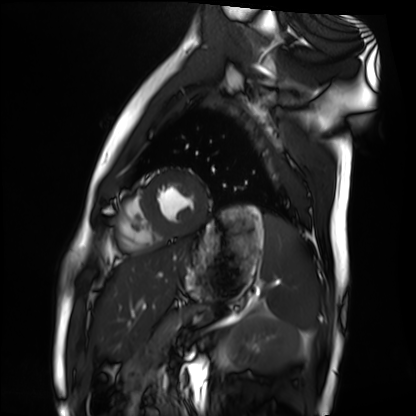
* modality: cardiac MRI
* subject group: healthy volunteer